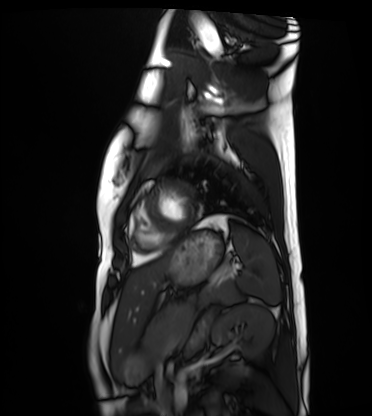
* modality — cardiac MRI
* subject group — healthy volunteer